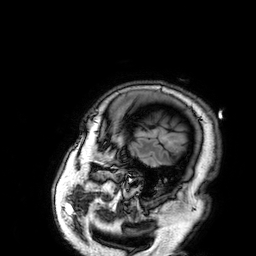
<record>
<modality>
  <type>brain MRI</type>
  <field_strength>3T</field_strength>
</modality>
<series>3D T1-weighted</series>
<study_topic>ring-enhancing brain masses</study_topic>
</record>